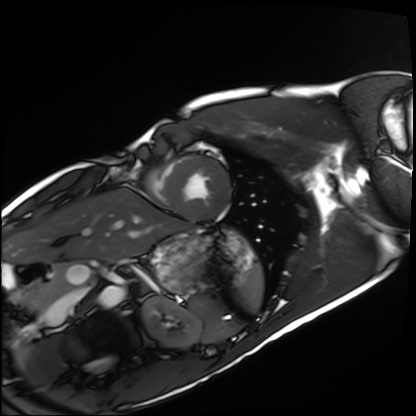
Case:
- modality — cardiac MRI
- subject group — healthy volunteer